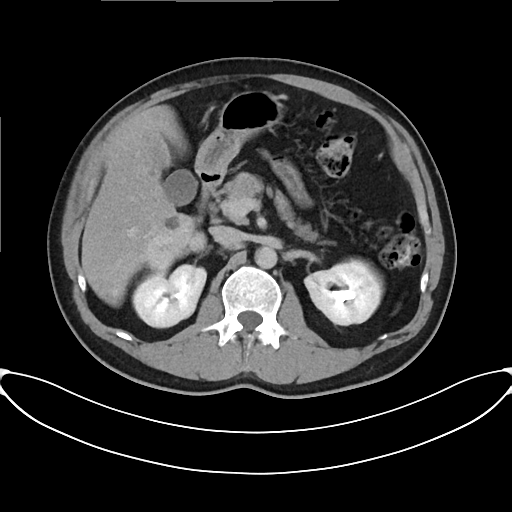
modality: multiphase abdominal CT, liver, delayed phase | patient: male, age 45.